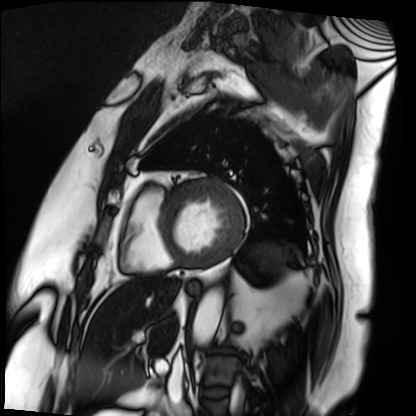
{
  "modality": "cardiac MRI",
  "cohort": "patient"
}